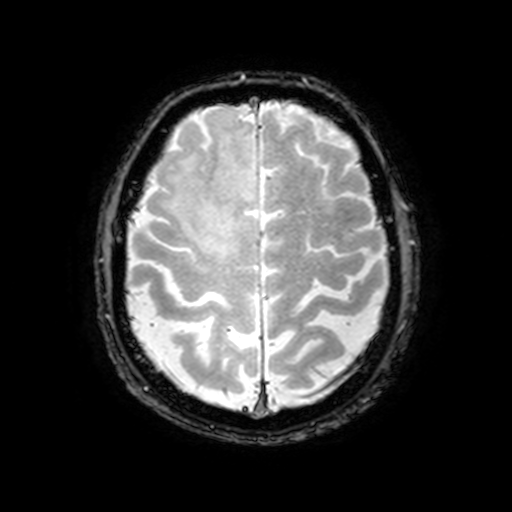
3 Tesla brain MRI. Series: T2-weighted fast field echo with SENSE. Study: ring-enhancing brain masses.